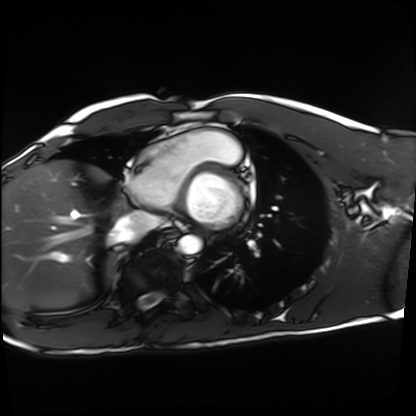
modality: cardiac MRI
cohort: healthy volunteer